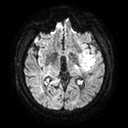
Q: What kind of scan is this?
A: 3 Tesla brain MRI.
Q: Series?
A: Diffusion tensor imaging (medium iso).
Study: ring-enhancing brain masses.